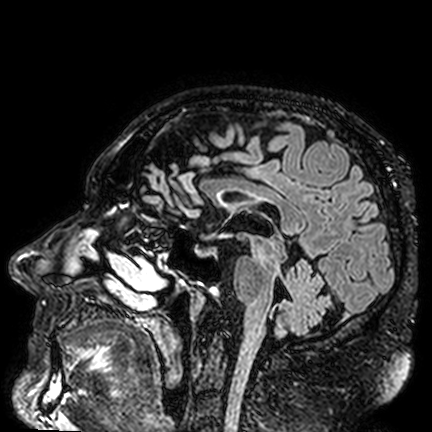
{
  "modality": {
    "type": "brain MRI",
    "field_strength": "3T"
  },
  "series": "FLAIR VISTA",
  "study_topic": "ring-enhancing brain masses"
}